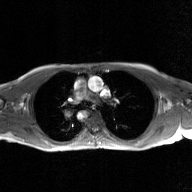
* modality · 2D phase-contrast cine MRI of the ascending aorta, GAN super-resolution reconstruction